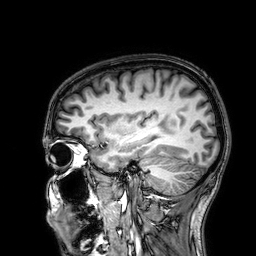
3 Tesla brain MRI. Series: 3D T1-weighted. Study: ring-enhancing brain masses.